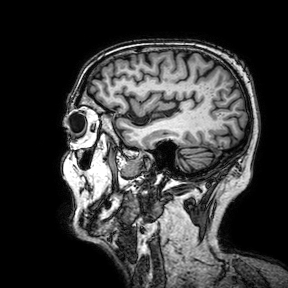
3 Tesla brain MRI.
Study: ring-enhancing brain masses.